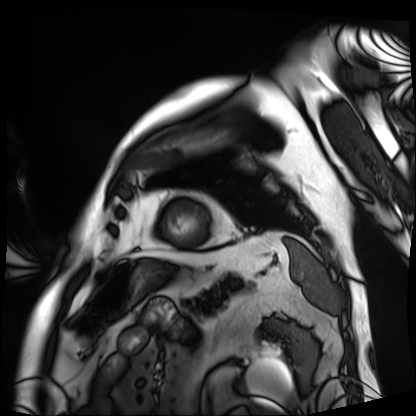
Cardiac MRI.
Subject group: patient.